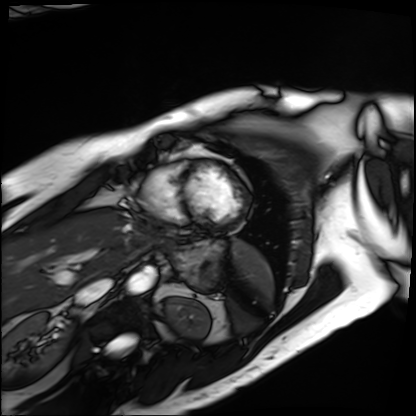
Cardiac MRI. Subject group: patient.